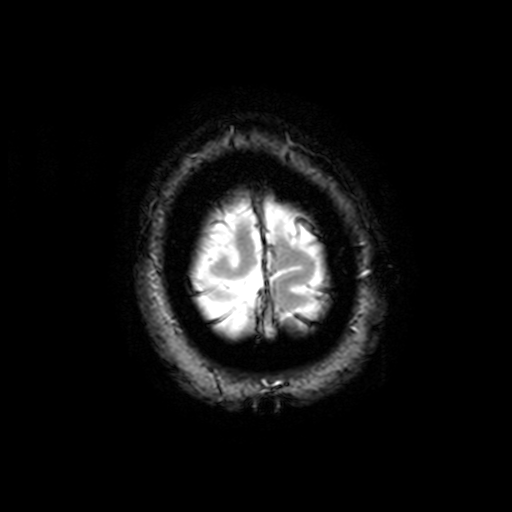
3 Tesla brain MRI.
Series: T2-weighted fast field echo with SENSE.
Study: ring-enhancing brain masses.